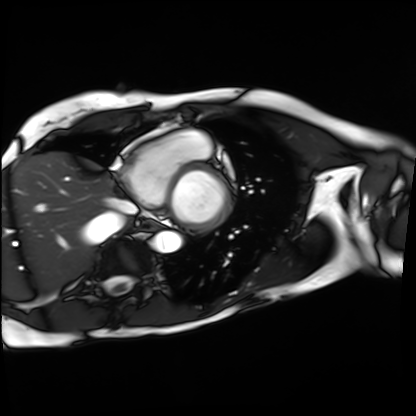
Cardiac MRI.
Subject group: patient.